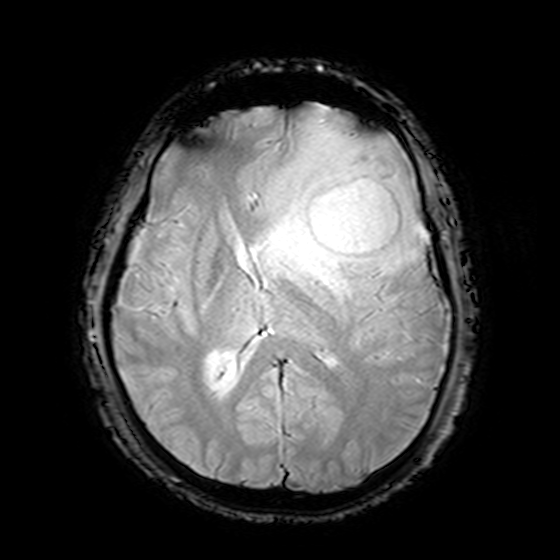
3 Tesla brain MRI. Series: T2-weighted fast field echo. Study: ring-enhancing brain masses.